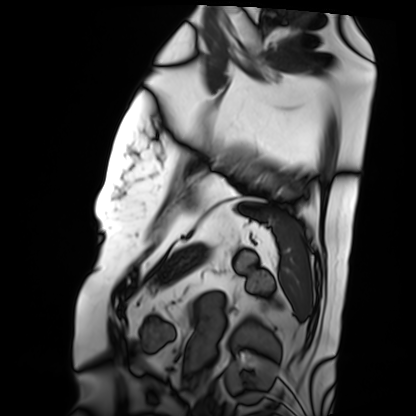
{
  "modality": "cardiac MRI",
  "cohort": "patient"
}